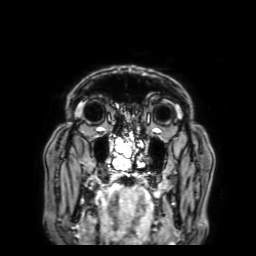
Case summary:
3 Tesla brain MRI. Series: 3D T1-weighted with SENSE. Study: ring-enhancing brain masses.